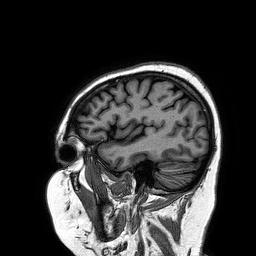
modality:
  type: brain MRI
  field_strength: 3T
series: 3D T1-weighted turbo field echo
study_topic: ring-enhancing brain masses